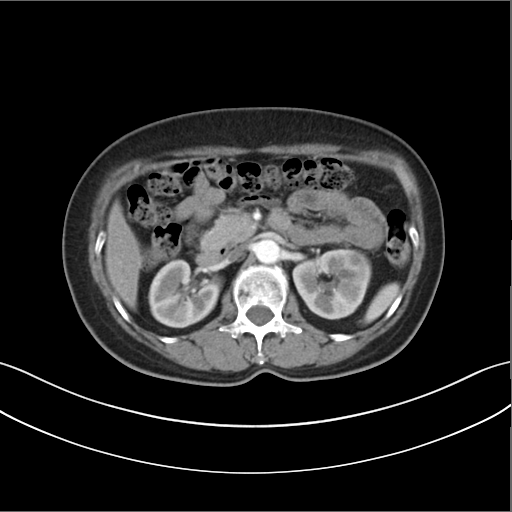
Multiphase abdominal CT, liver, arterial phase.